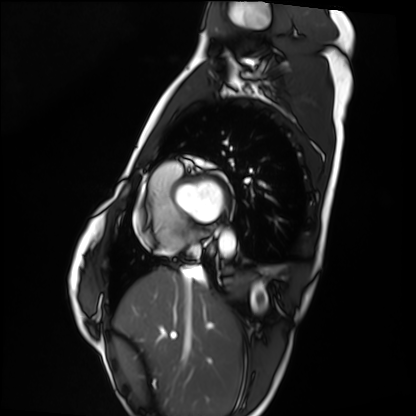
* modality: cardiac MRI
* subject group: healthy volunteer